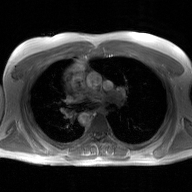
2D phase-contrast cine MRI of the ascending aorta, GAN super-resolution reconstruction.